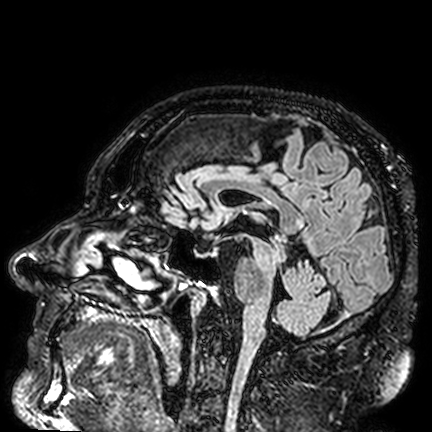
Clinical context: 3 Tesla brain MRI. Series: FLAIR VISTA. Study: ring-enhancing brain masses.